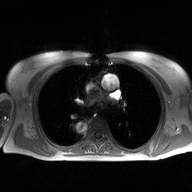
Case summary:
2D phase-contrast cine MRI of the ascending aorta, high-resolution GRAPPA acquisition.